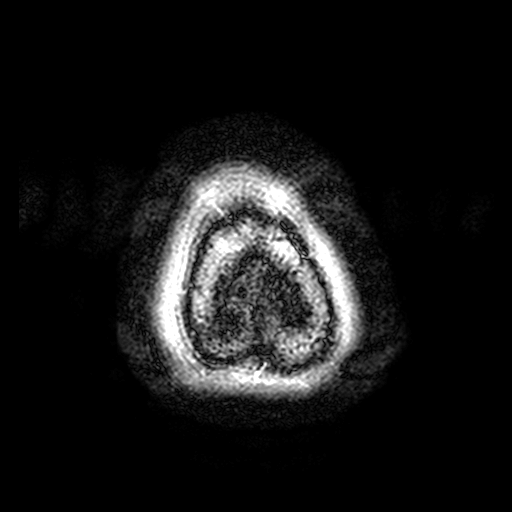
3 Tesla brain MRI. Series: FLAIR with SPAIR, 3 mm. Study: ring-enhancing brain masses.